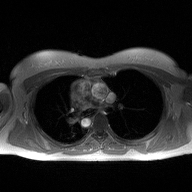
<record>
  <modality>
    <type>2D phase-contrast cine MRI</type>
    <region>ascending aorta</region>
    <reconstruction>high-resolution GRAPPA acquisition</reconstruction>
  </modality>
</record>